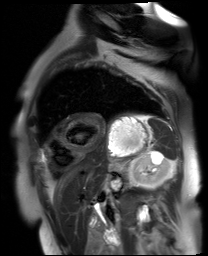
modality = cardiac MR image of the myocardium; subject cohort = cardiac patient.